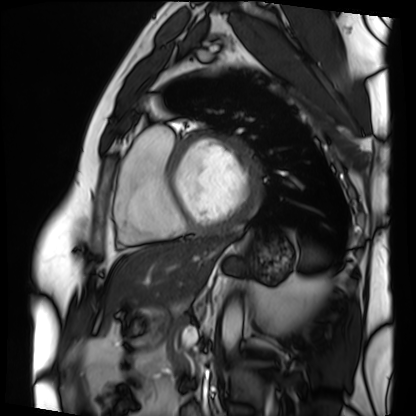
Case:
- modality · cardiac MRI
- subject group · patient